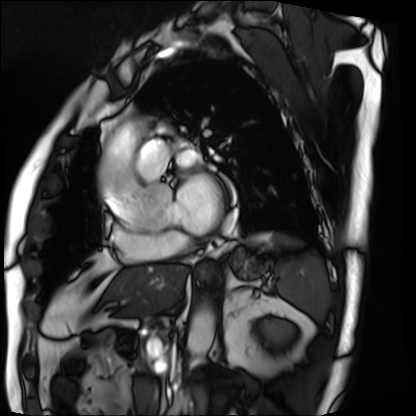
Clinical context: Cardiac MRI. Subject group: patient.